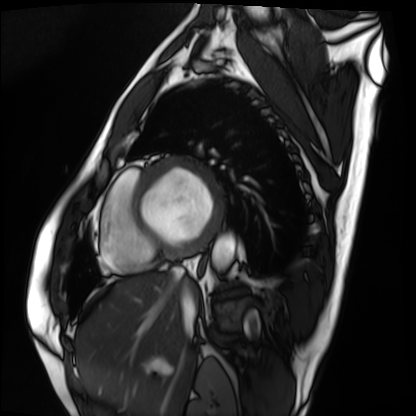
Cardiac MRI. Subject group: patient.